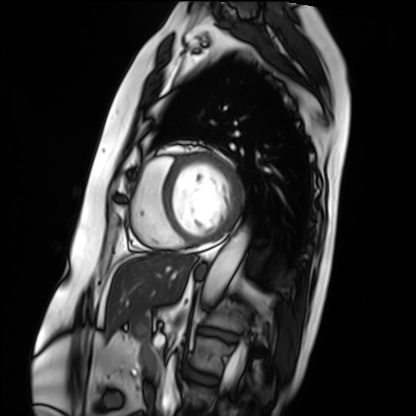
Cardiac MRI.
Subject group: patient.